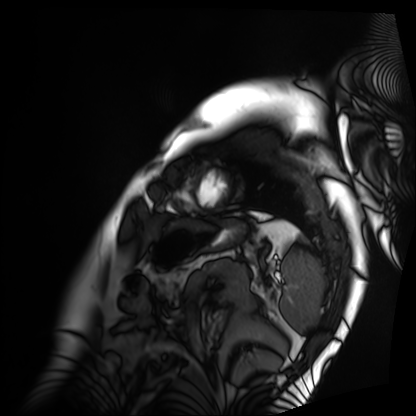
{"modality": "cardiac MRI", "cohort": "patient"}